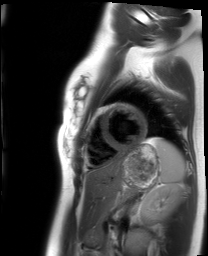
• modality — cardiac MRI
• subject group — healthy volunteer